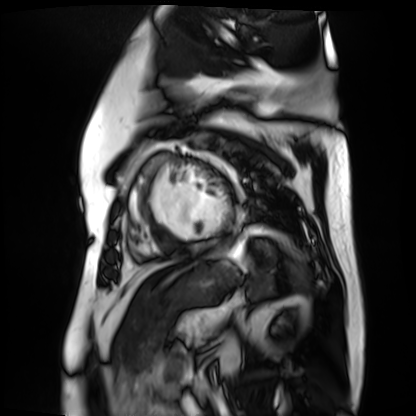
Q: What kind of scan is this?
A: Cardiac MR image of the myocardium.
Subject cohort: cardiac patient.